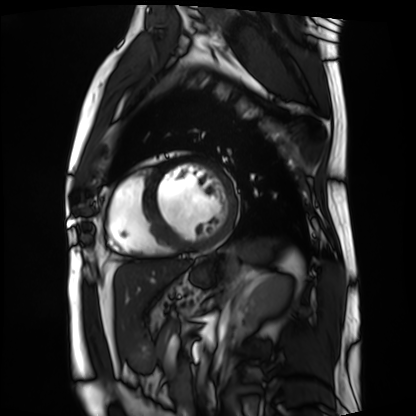
modality — cardiac MRI; subject group — patient.